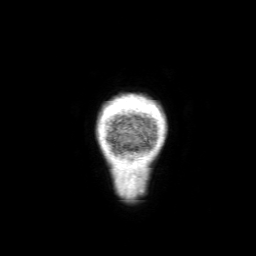
modality: 3 Tesla brain MRI
series: 3D T1-weighted with SENSE
study: ring-enhancing brain masses